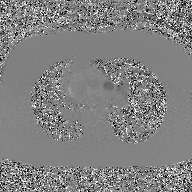
Case summary: 2D phase-contrast cine MRI of the ascending aorta, GAN super-resolution reconstruction.